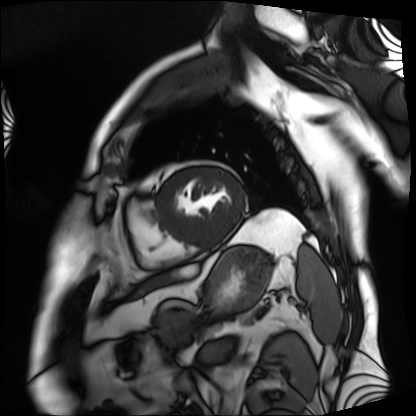
Case:
• modality · cardiac MRI
• subject group · patient